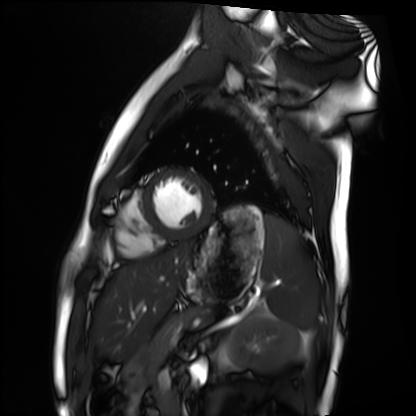
modality: cardiac MRI; subject group: healthy volunteer.